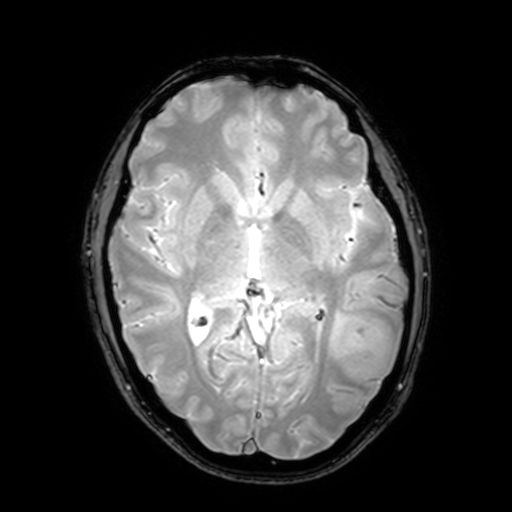
Case:
– modality · 3 Tesla brain MRI
– series · T2-weighted fast field echo with SENSE
– study · ring-enhancing brain masses